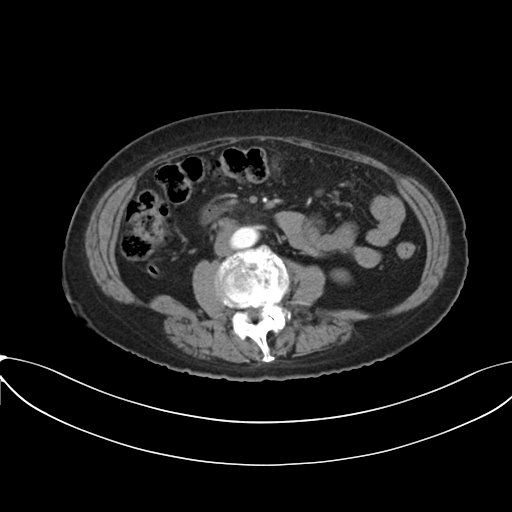
Clinical context:
Multiphase abdominal CT, liver, arterial phase.